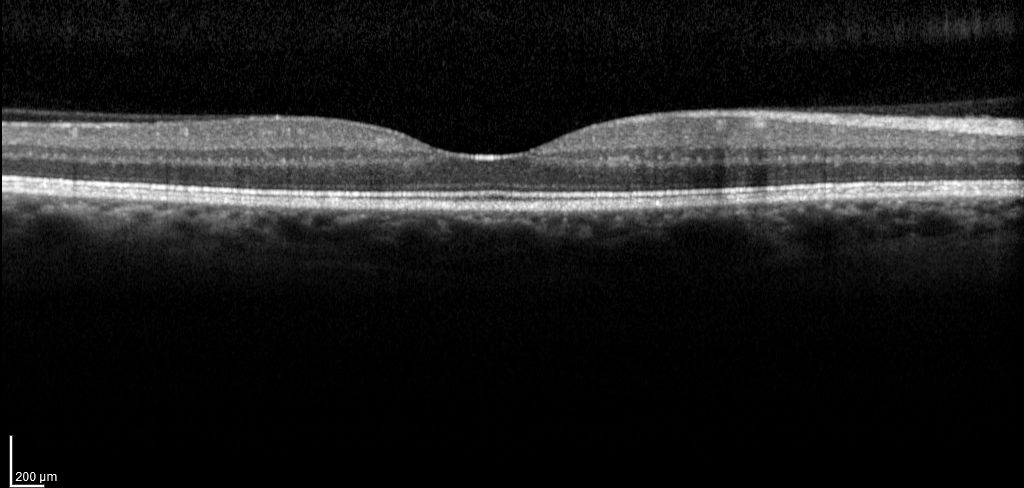
| field | value |
|---|---|
| modality | spectral-domain optical coherence tomography (SD-OCT) of the macula |
| subject | male, age 55, right eye |
| cohort | non-diabetic control |
| ETDRS-grid retinal thickness (μm) | central 263, inner temporal 341, inner nasal 355, inner superior 357, inner inferior 351, outer temporal 285, outer nasal 318, outer superior 308 |